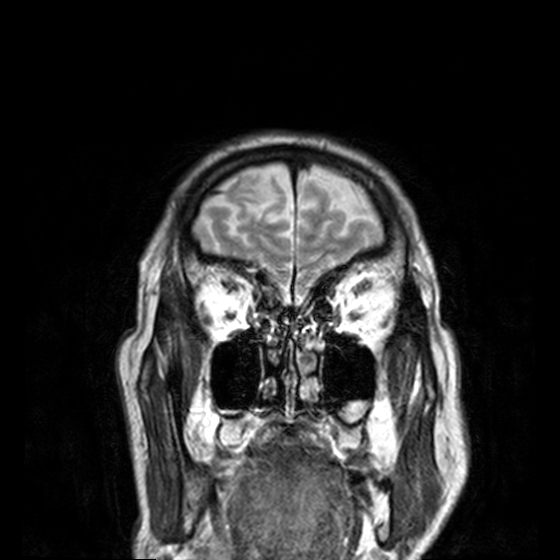
Q: What kind of scan is this?
A: 3 Tesla brain MRI.
Q: Series?
A: T2-weighted turbo spin echo, 3 mm.
Study: ring-enhancing brain masses.